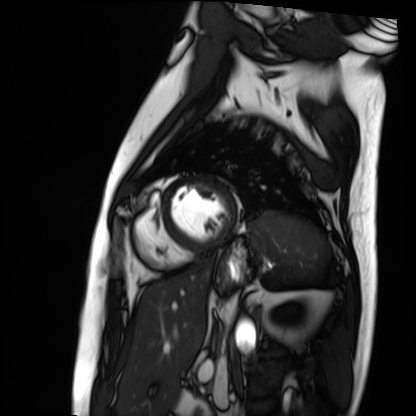
Case summary:
Cardiac MRI. Subject group: patient.